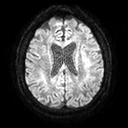
3 Tesla brain MRI.
Study: ring-enhancing brain masses.